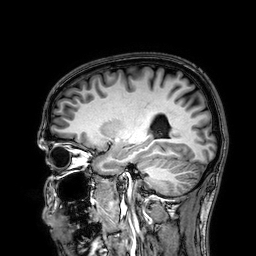
3 Tesla brain MRI. Series: 3D T1-weighted. Study: ring-enhancing brain masses.